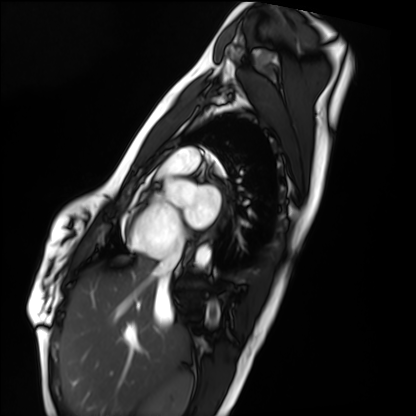
modality: cardiac MRI
cohort: healthy volunteer